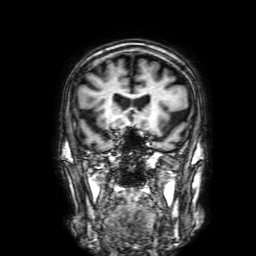
modality: 3 Tesla brain MRI | series: 3D T1-weighted with SENSE | study: ring-enhancing brain masses.